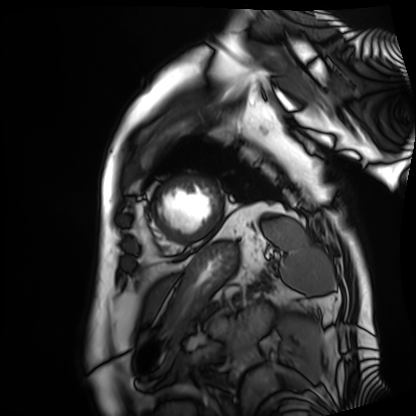
– modality — cardiac MRI
– subject group — patient